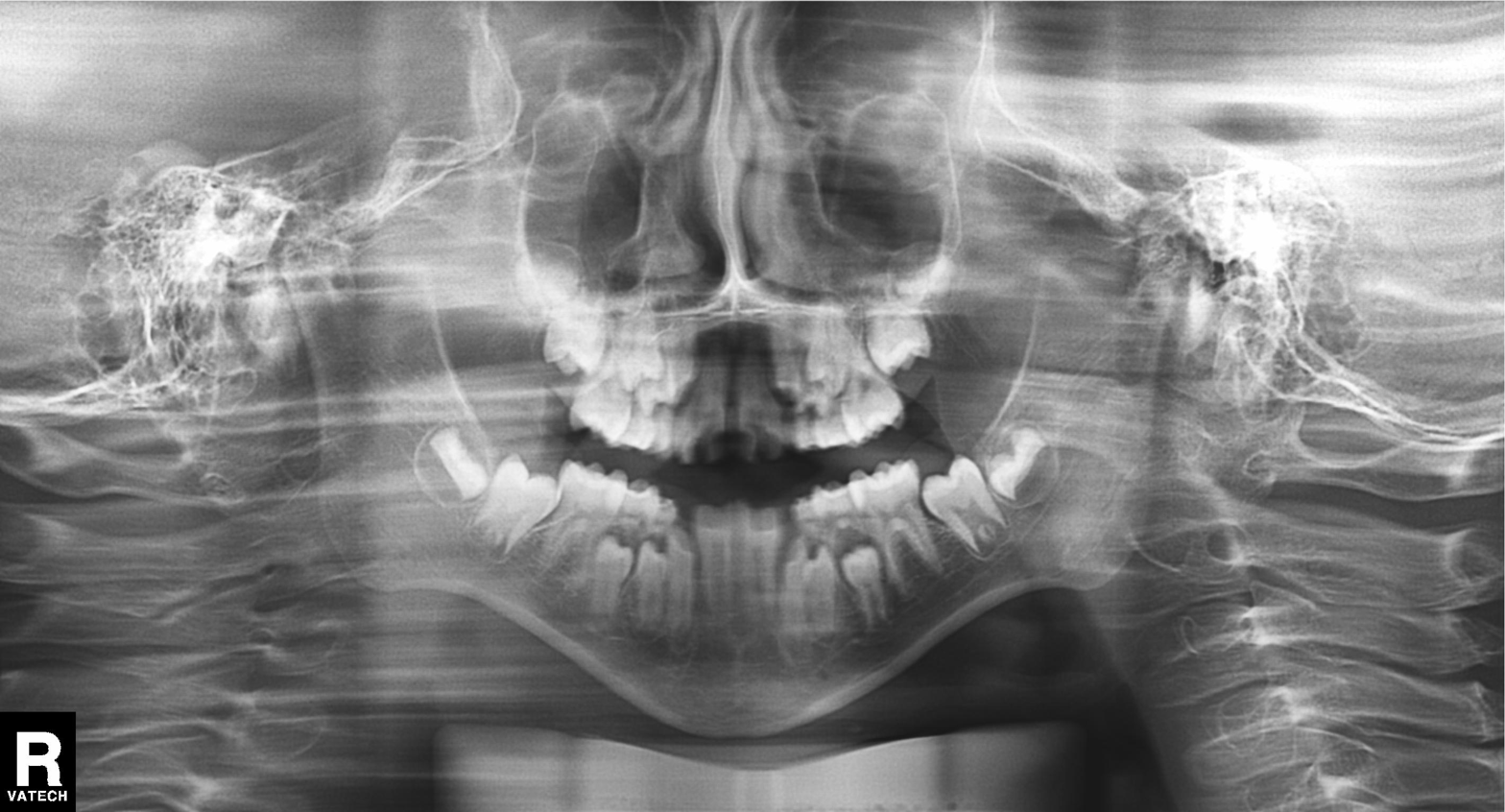
Q: What kind of scan is this?
A: Panoramic dental radiograph (orthopantomogram).
Q: What is the radiographic finding?
A: Tooth impaction.